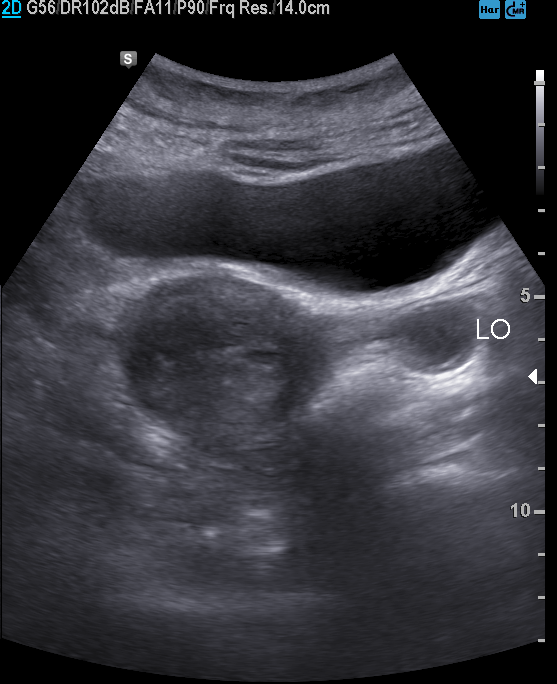
Summary: Genitourinary ultrasound.